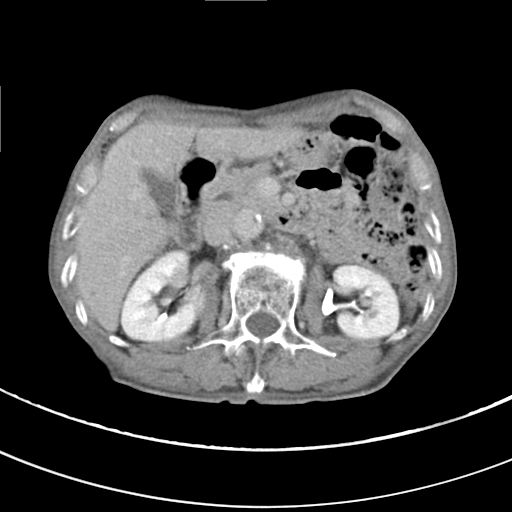
Q: What kind of scan is this?
A: Multiphase abdominal CT, liver, delayed phase.
Q: Patient?
A: Male, age 68.